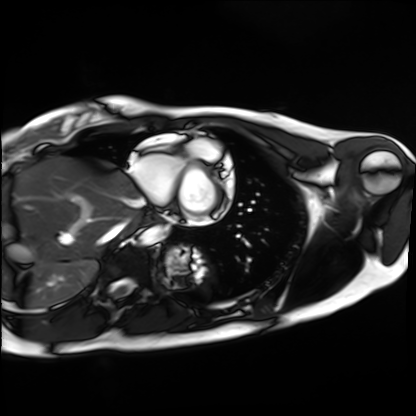
– modality: cardiac MRI
– subject group: healthy volunteer